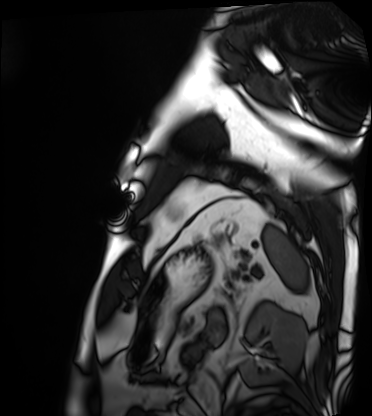
Clinical context:
Cardiac MRI. Subject group: patient.